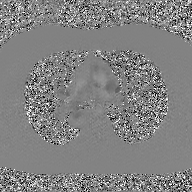
Summary:
2D phase-contrast cine MRI of the ascending aorta, GAN super-resolution reconstruction.